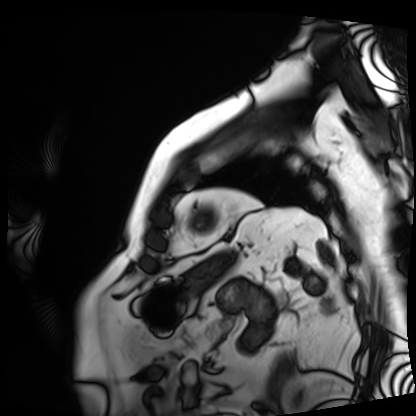
Summary:
Cardiac MRI. Subject group: patient.